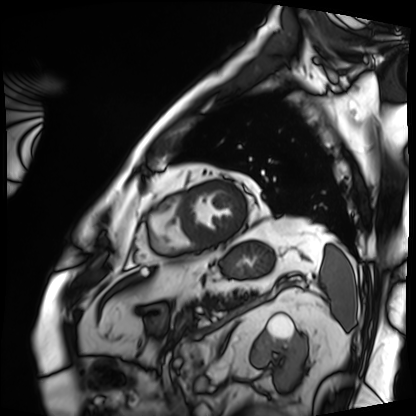
Summary:
Cardiac MRI. Subject group: patient.